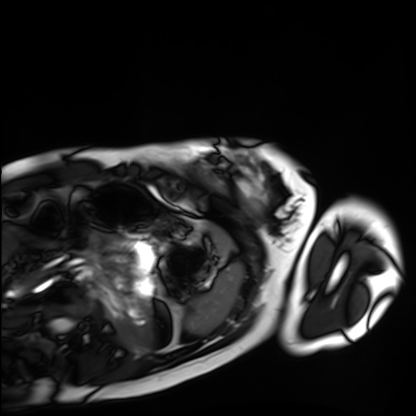
Case summary: Cardiac MRI. Subject group: healthy volunteer.